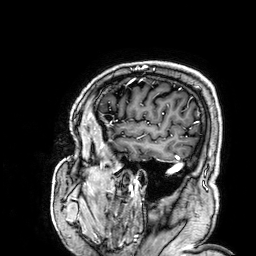
modality: 3 Tesla brain MRI | series: 3D T1-weighted | study: ring-enhancing brain masses.